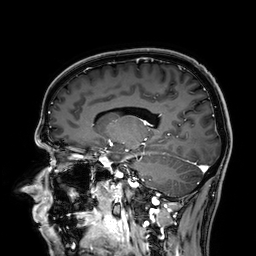
Summary:
3 Tesla brain MRI. Series: 3D T1-weighted. Study: ring-enhancing brain masses.